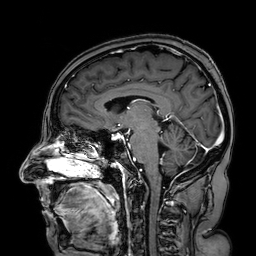
Q: What kind of scan is this?
A: 3 Tesla brain MRI.
Q: Series?
A: 3D T1-weighted turbo field echo with SENSE.
Study: ring-enhancing brain masses.